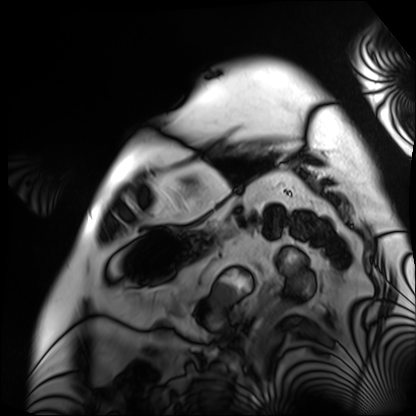
<scan>
  <modality>cardiac MRI</modality>
  <cohort>patient</cohort>
</scan>